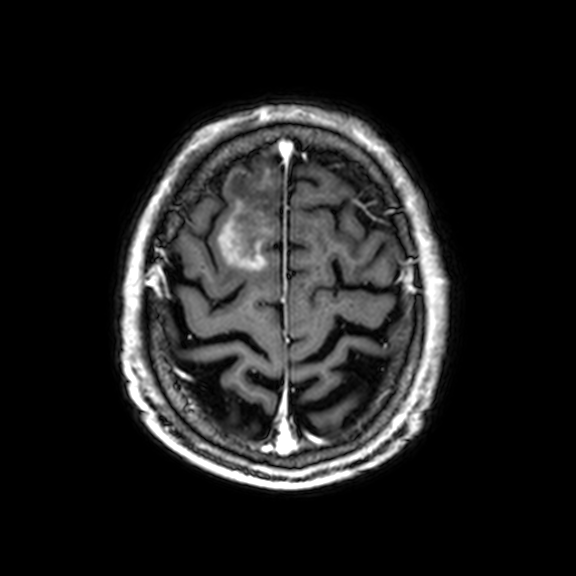
Q: What kind of scan is this?
A: 3 Tesla brain MRI.
Q: Series?
A: 3D T1-weighted with CLEAR.
Study: ring-enhancing brain masses.